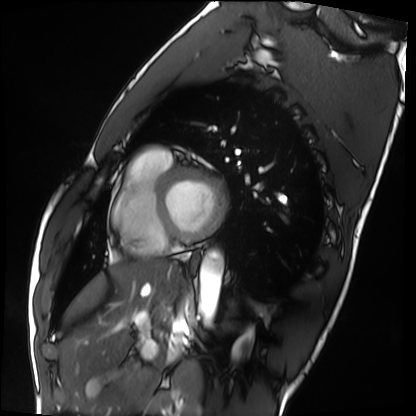
modality: cardiac MRI
cohort: healthy volunteer